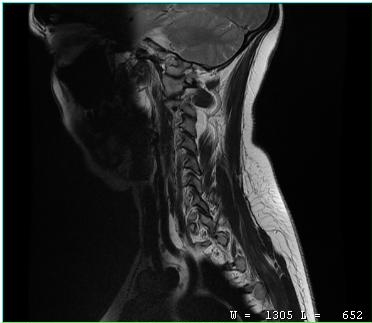
modality = MRI of the cervical spine | study = cervical spondylosis.